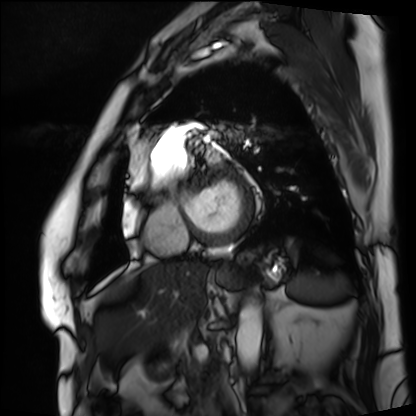
Q: What kind of scan is this?
A: Cardiac MRI.
Subject group: patient.